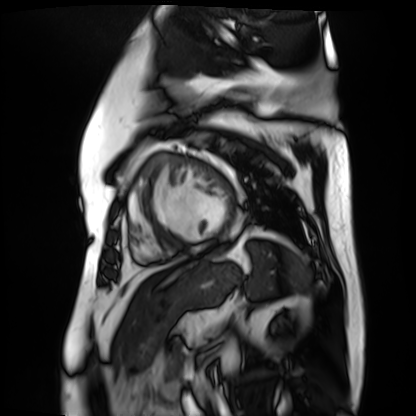
<scan>
  <modality>cardiac MR image of the myocardium</modality>
  <cohort>cardiac patient</cohort>
</scan>